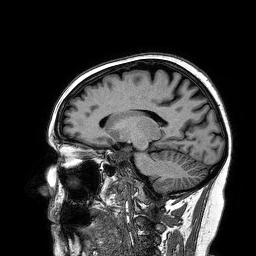
modality: 3 Tesla brain MRI | study: ring-enhancing brain masses.